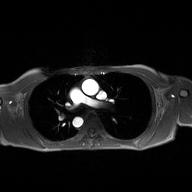
Q: What kind of scan is this?
A: 2D phase-contrast cine MRI of the ascending aorta.